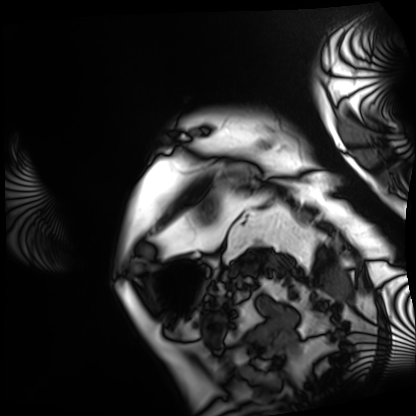
Cardiac MRI. Subject group: patient.